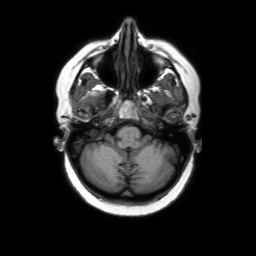
Summary: 3 Tesla brain MRI. Series: axial without contrast. Study: ring-enhancing brain masses.